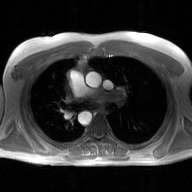
Case summary:
2D phase-contrast cine MRI of the ascending aorta, GAN super-resolution reconstruction.